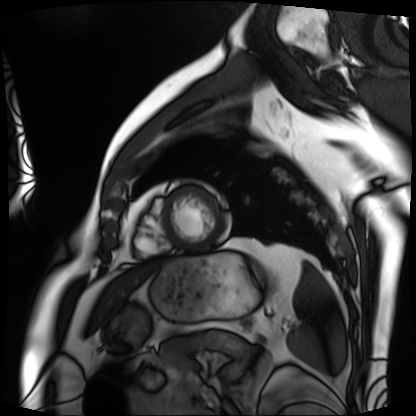
Cardiac MRI.
Subject group: patient.